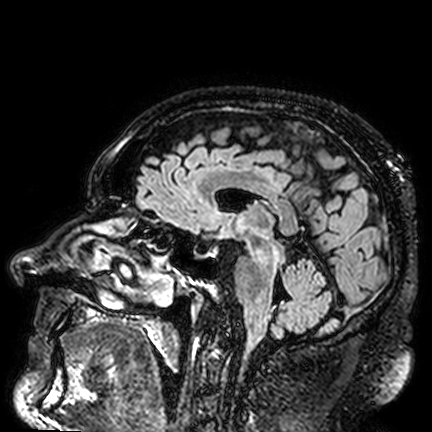
Q: What kind of scan is this?
A: 3 Tesla brain MRI.
Q: Series?
A: FLAIR VISTA.
Study: ring-enhancing brain masses.